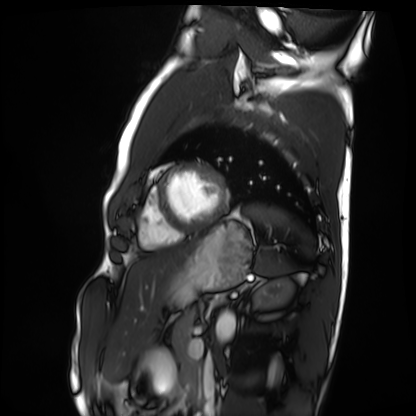
modality = cardiac MRI, subject group = healthy volunteer.